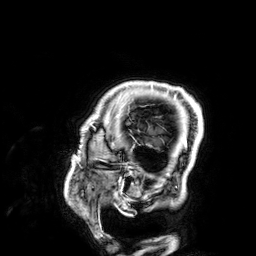
3 Tesla brain MRI. Series: 3D T1-weighted. Study: ring-enhancing brain masses.